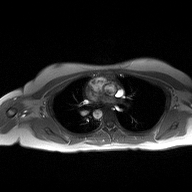
Case summary: 2D phase-contrast cine MRI of the ascending aorta, high-resolution GRAPPA acquisition.